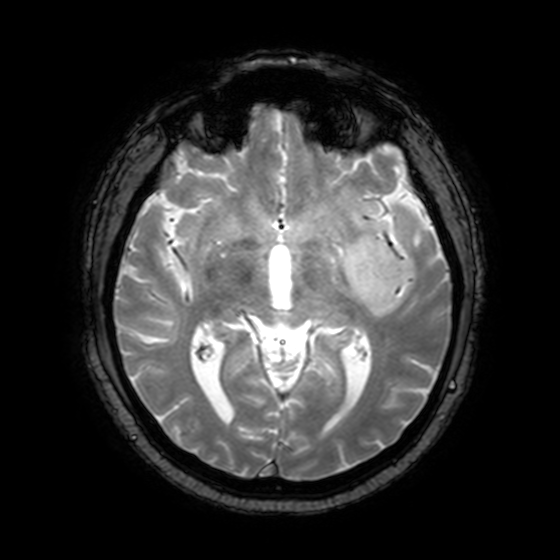
3 Tesla brain MRI.
Series: T2-weighted fast field echo with SENSE.
Study: ring-enhancing brain masses.